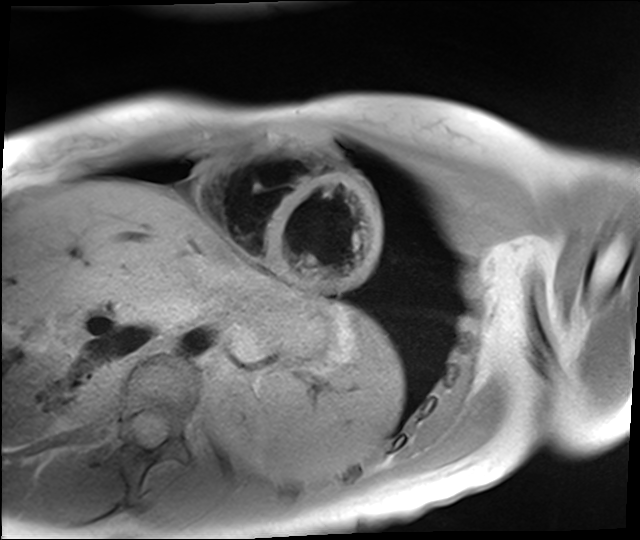
Q: What kind of scan is this?
A: Cardiac MR image of the myocardium.
Subject cohort: healthy volunteer.